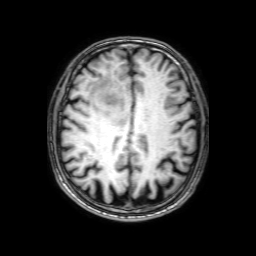
3 Tesla brain MRI.
Series: 3D T1-weighted with SENSE.
Study: ring-enhancing brain masses.